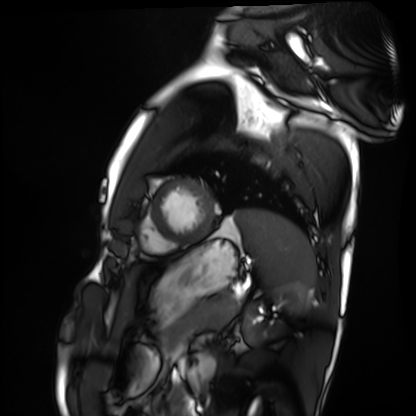
Q: What kind of scan is this?
A: Cardiac MRI.
Subject group: healthy volunteer.